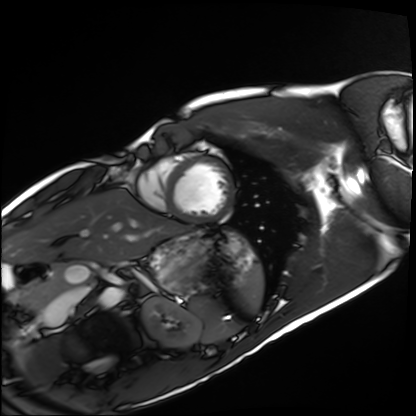
• modality · cardiac MRI
• subject group · healthy volunteer